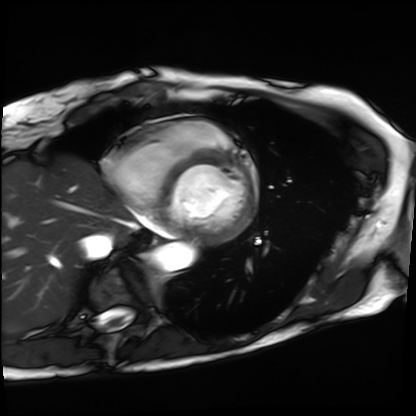
modality = cardiac MRI, subject group = patient.